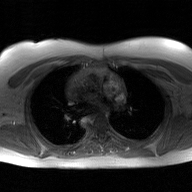
2D phase-contrast cine MRI of the ascending aorta, GAN super-resolution reconstruction.